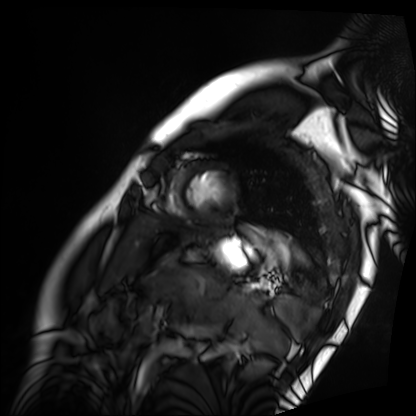
Case summary: Cardiac MRI. Subject group: patient.